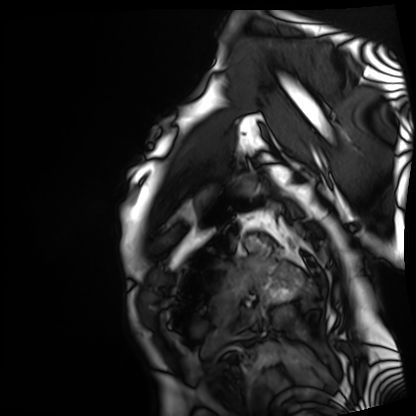
Cardiac MRI. Subject group: patient.